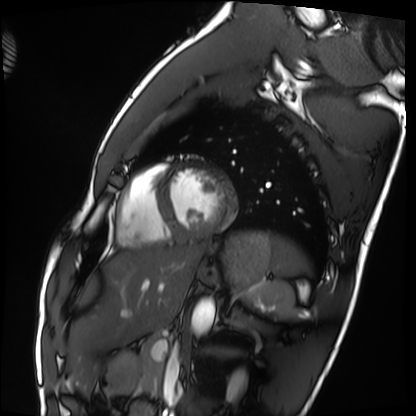
{"modality": "cardiac MRI", "cohort": "healthy volunteer"}